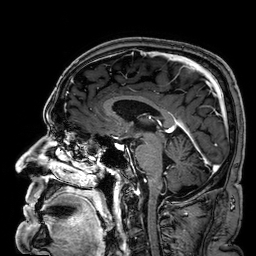
3 Tesla brain MRI. Series: 3D T1-weighted. Study: ring-enhancing brain masses.